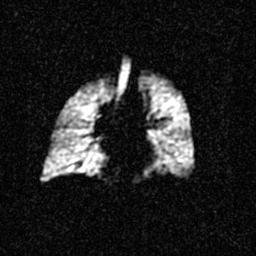
Summary: Hyperpolarized 129Xe ventilation MRI of the lungs. SNR level 3 of 8 (the deposit holds this scan as its native image and as seven SNR-degraded versions).